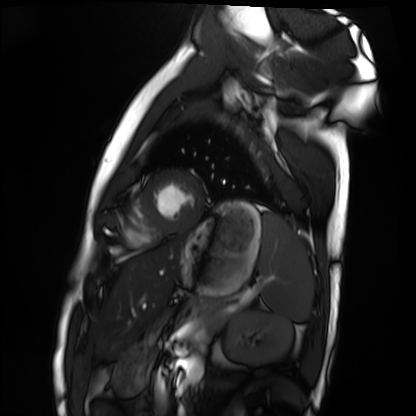
modality = cardiac MRI
subject group = healthy volunteer